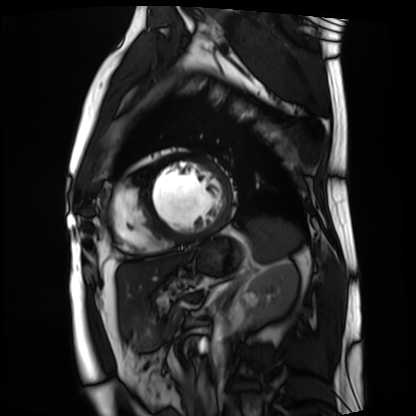
Cardiac MRI.
Subject group: patient.